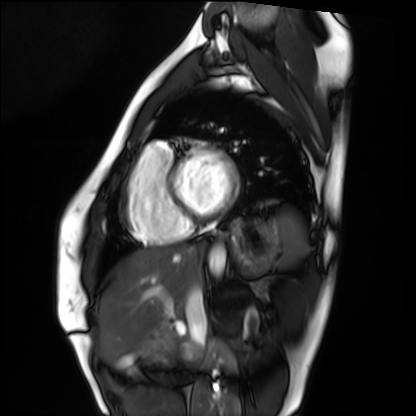
Cardiac MRI. Subject group: healthy volunteer.